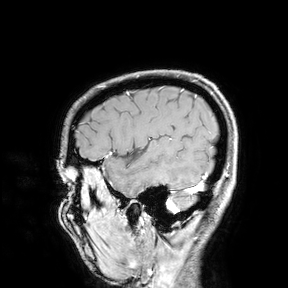
| field | value |
|---|---|
| modality | 3 Tesla brain MRI |
| study | ring-enhancing brain masses |